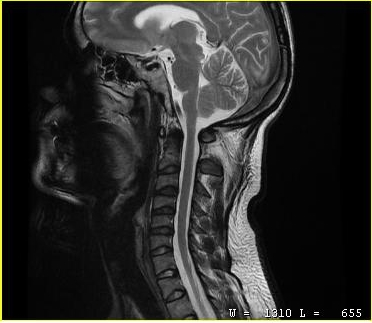
• modality · MRI of the cervical spine
• study · cervical spondylosis